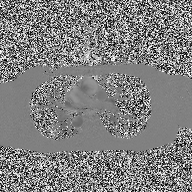
Q: What kind of scan is this?
A: 2D phase-contrast cine MRI of the ascending aorta.